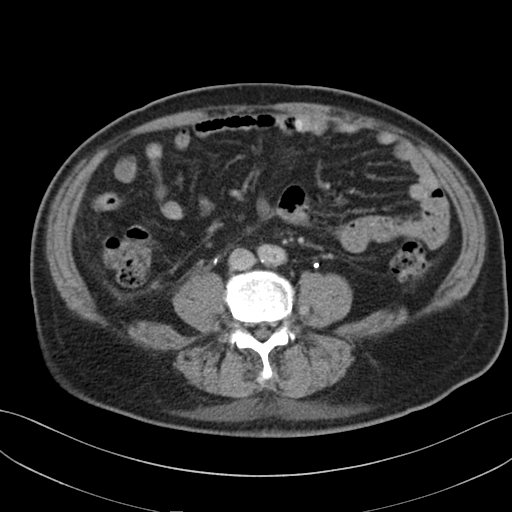
Clinical context: Multiphase abdominal CT, liver, delayed phase. Patient: male, age 69.